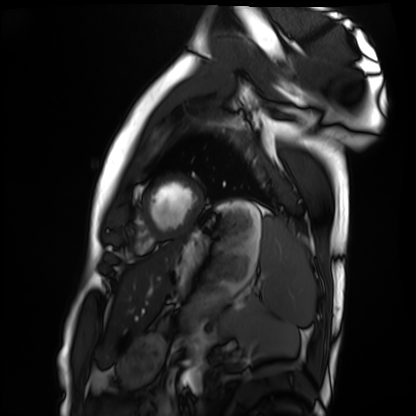
Cardiac MRI.
Subject group: healthy volunteer.